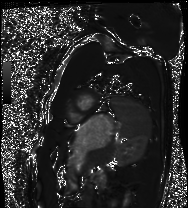
Summary: Cardiac MRI. Subject group: healthy volunteer.